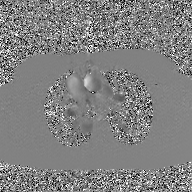
modality = 2D phase-contrast cine MRI of the ascending aorta, GAN super-resolution reconstruction.